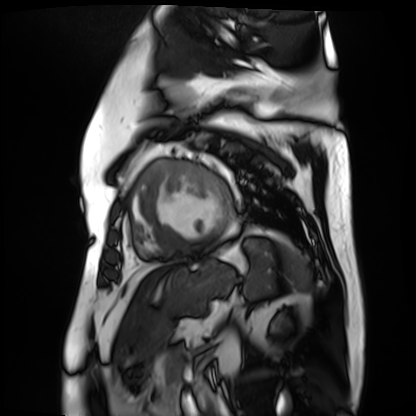
{"modality": "cardiac MR image of the myocardium", "cohort": "cardiac patient"}